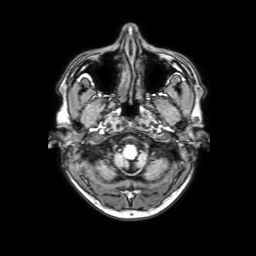
Q: What kind of scan is this?
A: 3 Tesla brain MRI.
Q: Series?
A: 3D T1-weighted with SENSE.
Study: ring-enhancing brain masses.